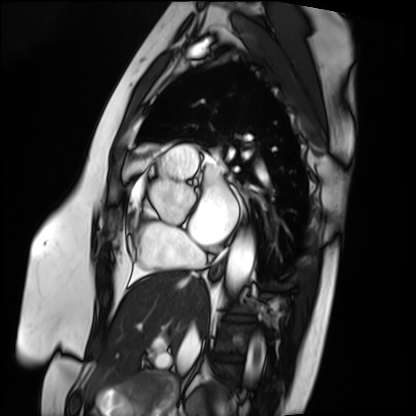
Q: What kind of scan is this?
A: Cardiac MRI.
Subject group: patient.